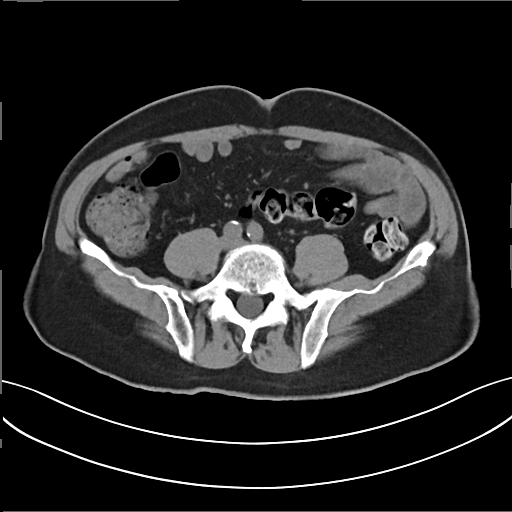
– modality · multiphase abdominal CT, liver, non-contrast phase
– patient · male, age 72
– history · prior chemotherapy